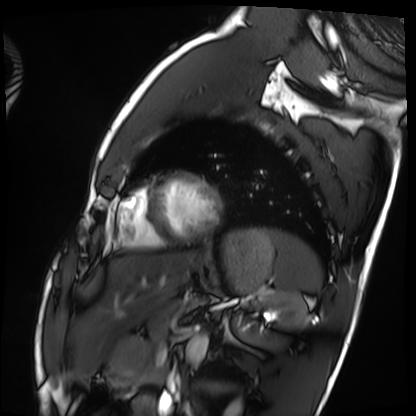
modality=cardiac MRI; subject group=healthy volunteer.